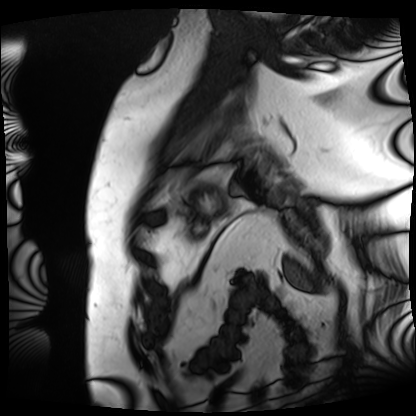
Q: What kind of scan is this?
A: Cardiac MRI.
Subject group: patient.